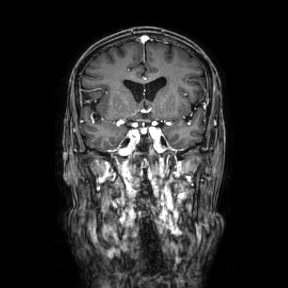
Q: What kind of scan is this?
A: 3 Tesla brain MRI.
Q: Series?
A: Coronal.
Study: ring-enhancing brain masses.